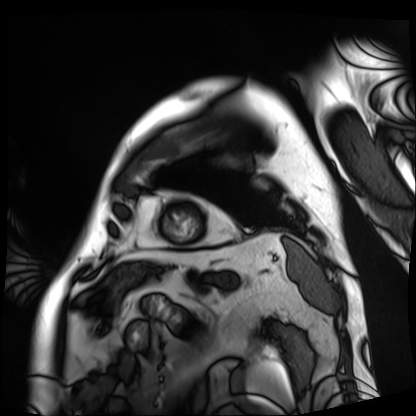
• modality — cardiac MRI
• subject group — patient